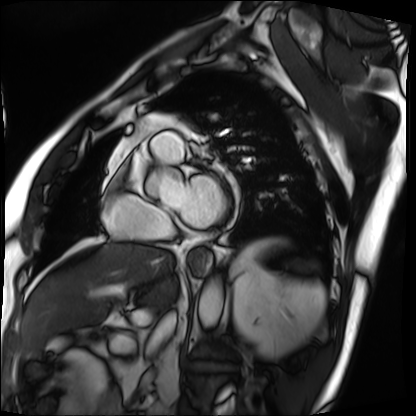
<record>
  <modality>cardiac MRI</modality>
  <cohort>patient</cohort>
</record>